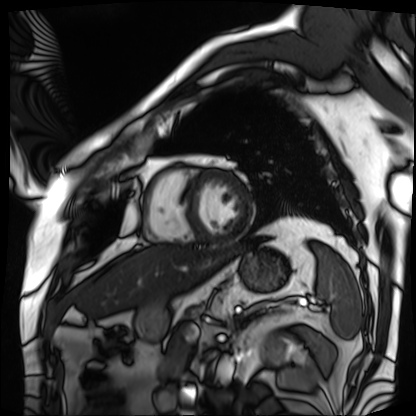
| field | value |
|---|---|
| modality | cardiac MRI |
| subject group | patient |